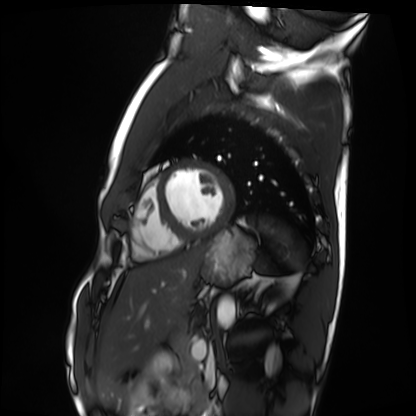
modality: cardiac MRI; subject group: healthy volunteer.